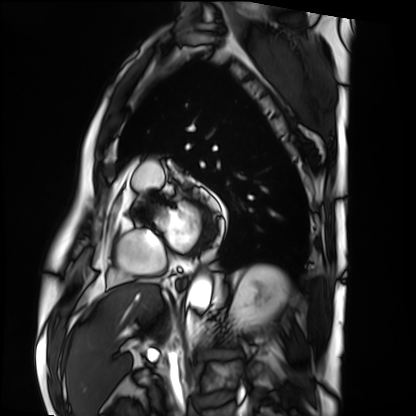
modality=cardiac MRI | subject group=patient.